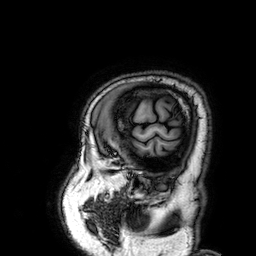
* modality · 3 Tesla brain MRI
* series · 3D T1-weighted
* study · ring-enhancing brain masses